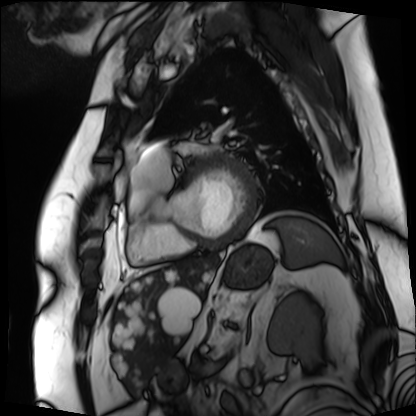
modality = cardiac MRI | subject group = patient.